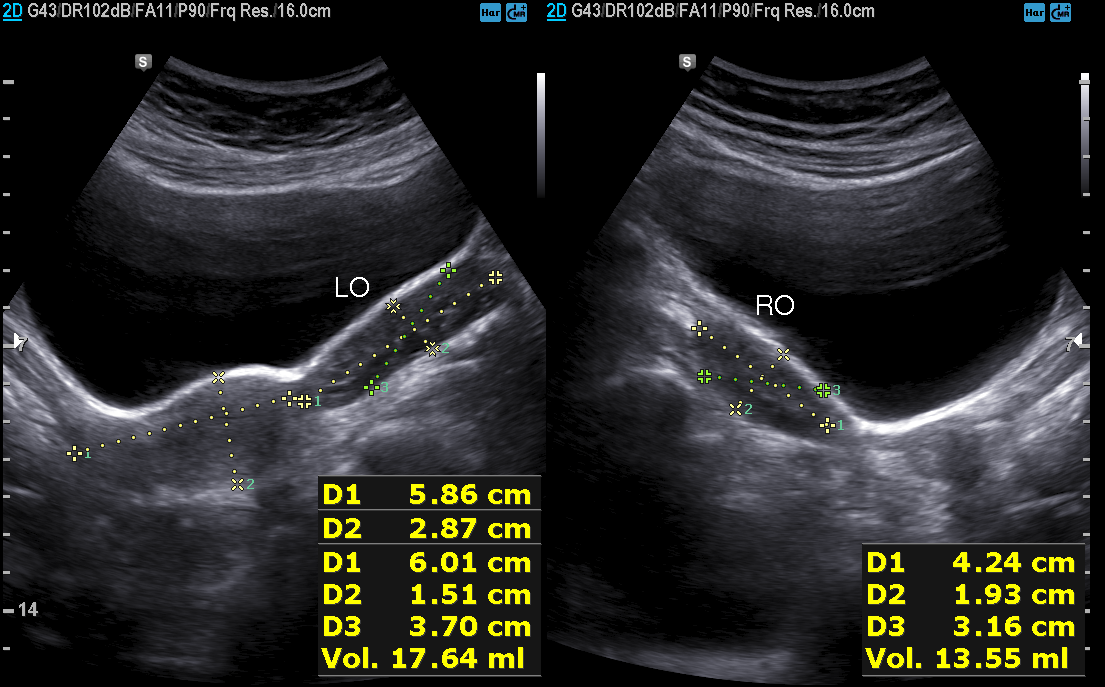
Genitourinary ultrasound.